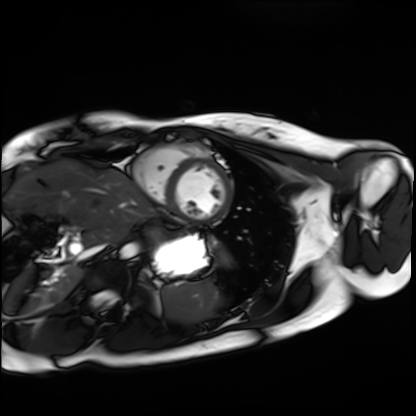
modality: cardiac MRI; subject group: healthy volunteer.